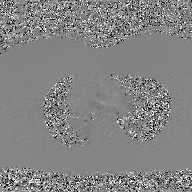
Q: What kind of scan is this?
A: 2D phase-contrast cine MRI of the ascending aorta, GAN super-resolution reconstruction.